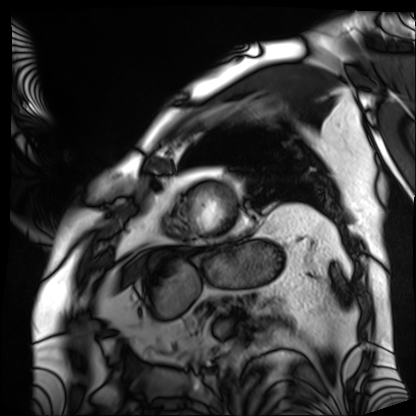
Case summary: Cardiac MRI. Subject group: patient.